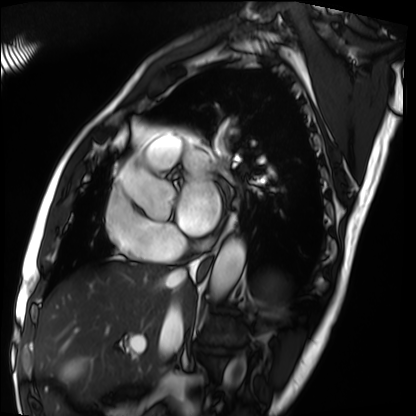
modality — cardiac MRI; subject group — patient.